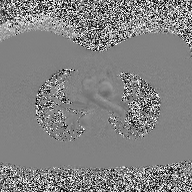
Summary: 2D phase-contrast cine MRI of the ascending aorta, high-resolution GRAPPA acquisition.